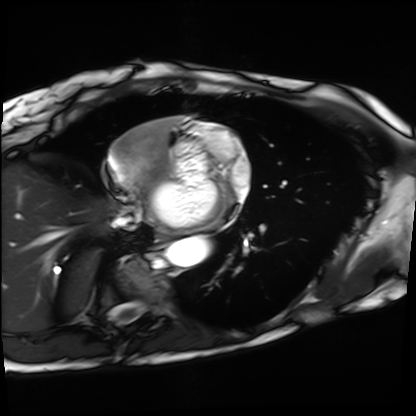
modality = cardiac MRI; subject group = patient.